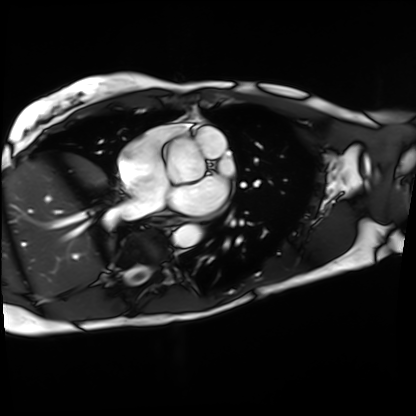
Cardiac MRI. Subject group: patient.